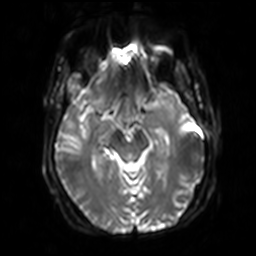
modality: 3 Tesla brain MRI
series: diffusion-weighted imaging with SENSE (WIP)
study: ring-enhancing brain masses